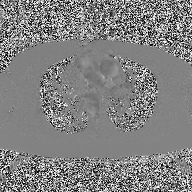
modality: 2D phase-contrast cine MRI of the ascending aorta.